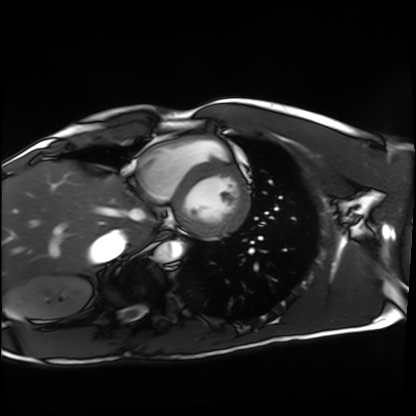
Clinical context: Cardiac MRI. Subject group: healthy volunteer.